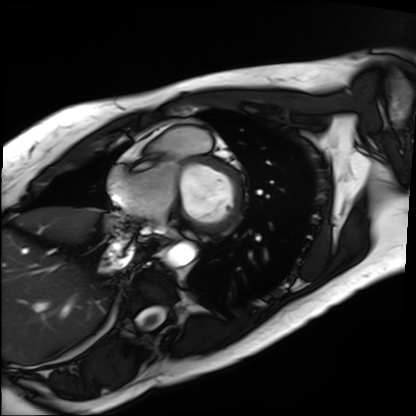
Cardiac MRI. Subject group: patient.